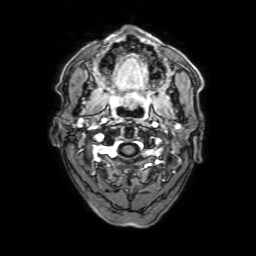
modality = 3 Tesla brain MRI
series = 3D T1-weighted with SENSE
study = ring-enhancing brain masses